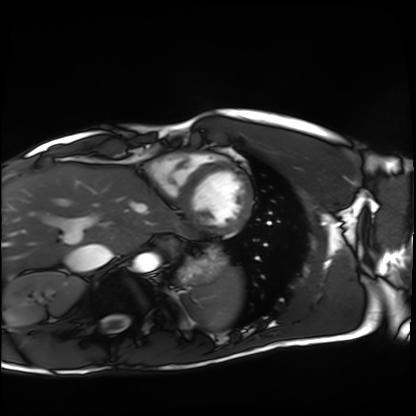
Cardiac MRI.
Subject group: healthy volunteer.